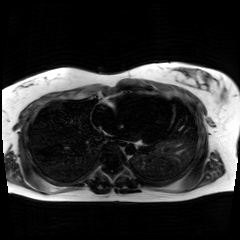
Clinical context: Chemical-shift-encoded cardiac MRI.